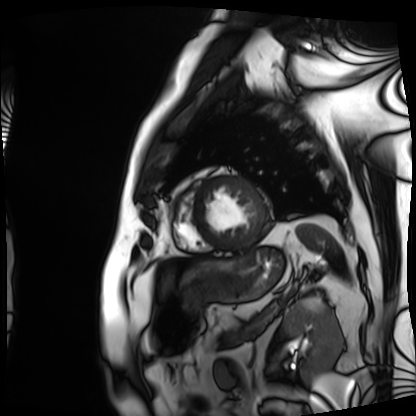
modality: cardiac MRI; subject group: patient.